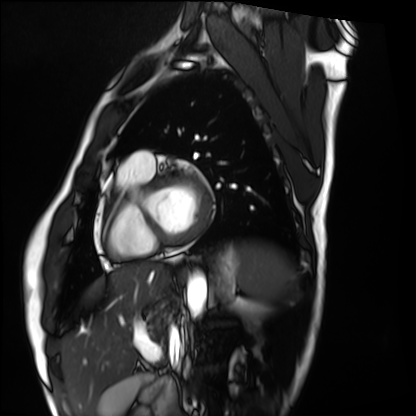
modality — cardiac MRI | subject group — healthy volunteer.